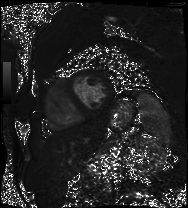
| field | value |
|---|---|
| modality | cardiac MRI |
| subject group | patient |